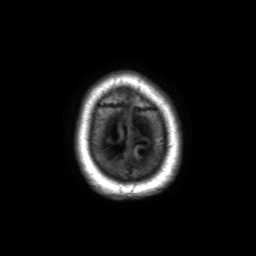
modality: 3 Tesla brain MRI
series: 3D T1-weighted TFE with SENSE
study: ring-enhancing brain masses